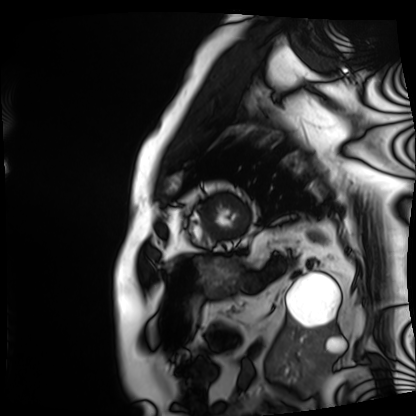
Q: What kind of scan is this?
A: Cardiac MRI.
Subject group: patient.